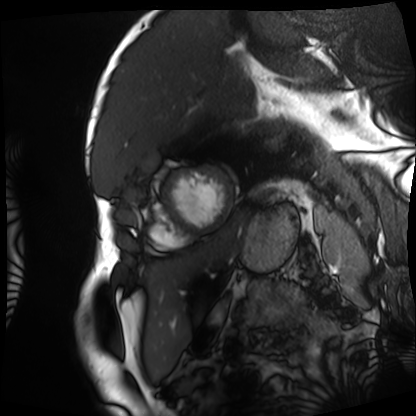
modality = cardiac MRI; subject group = patient.